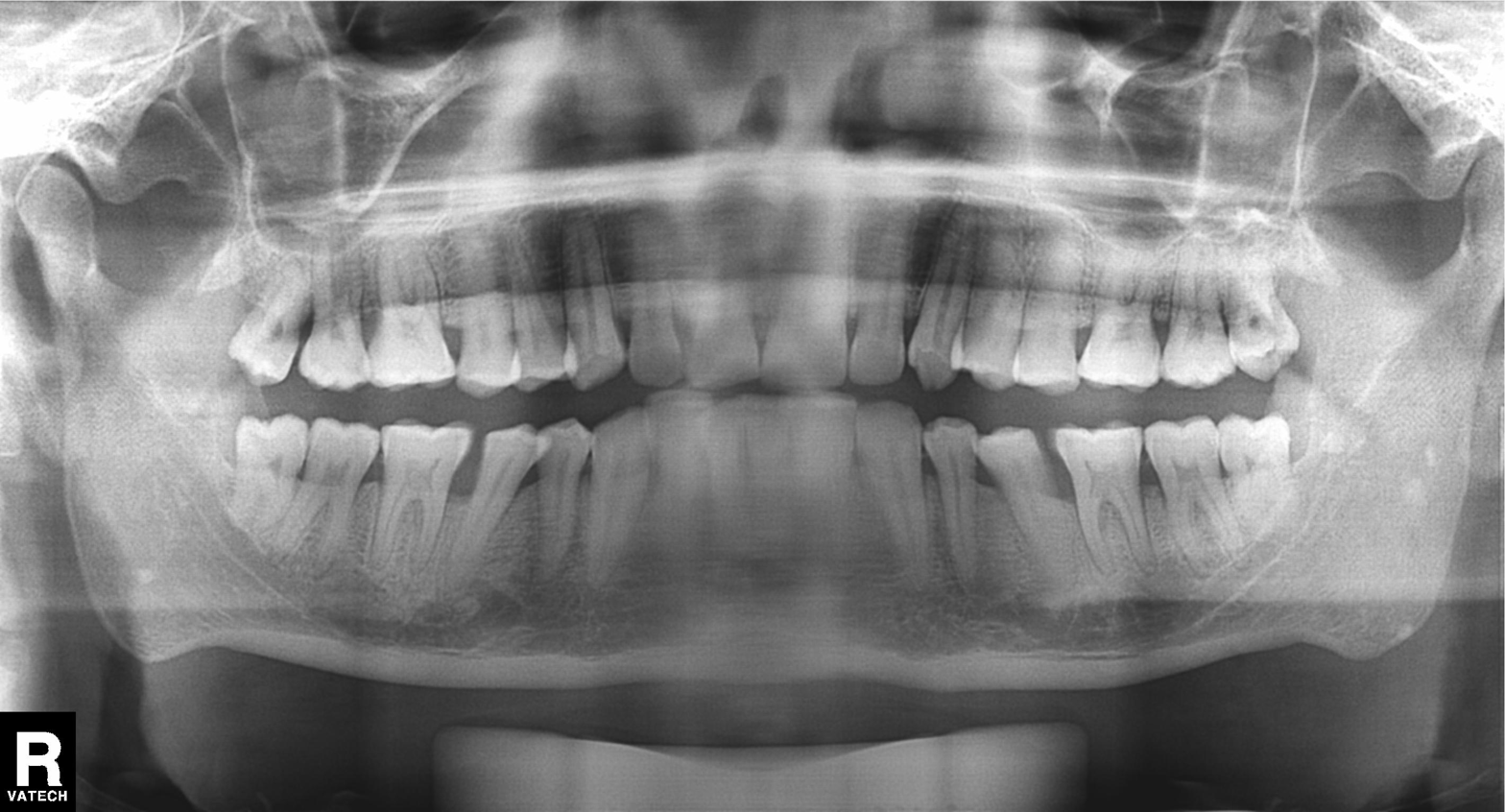
Summary:
Panoramic dental radiograph (orthopantomogram).
Impression:
Alveolar bone loss.